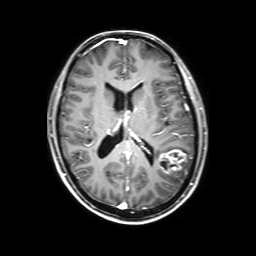
3 Tesla brain MRI. Series: 3D T1-weighted with SENSE. Study: ring-enhancing brain masses.